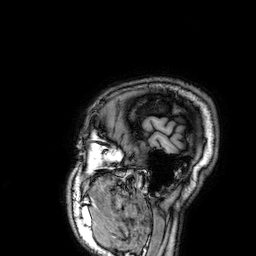
Summary:
3 Tesla brain MRI. Series: 3D T1-weighted. Study: ring-enhancing brain masses.